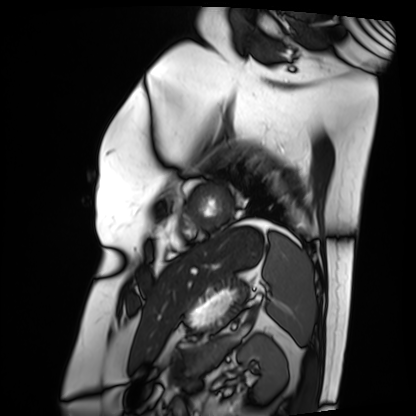
modality — cardiac MRI | subject group — patient.